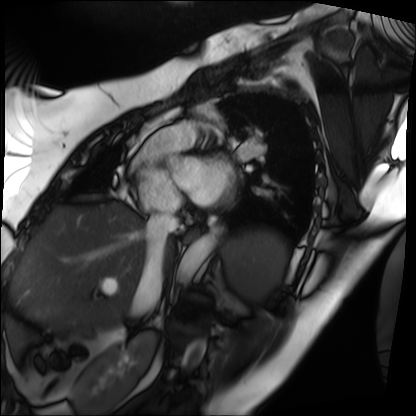
Cardiac MRI. Subject group: patient.